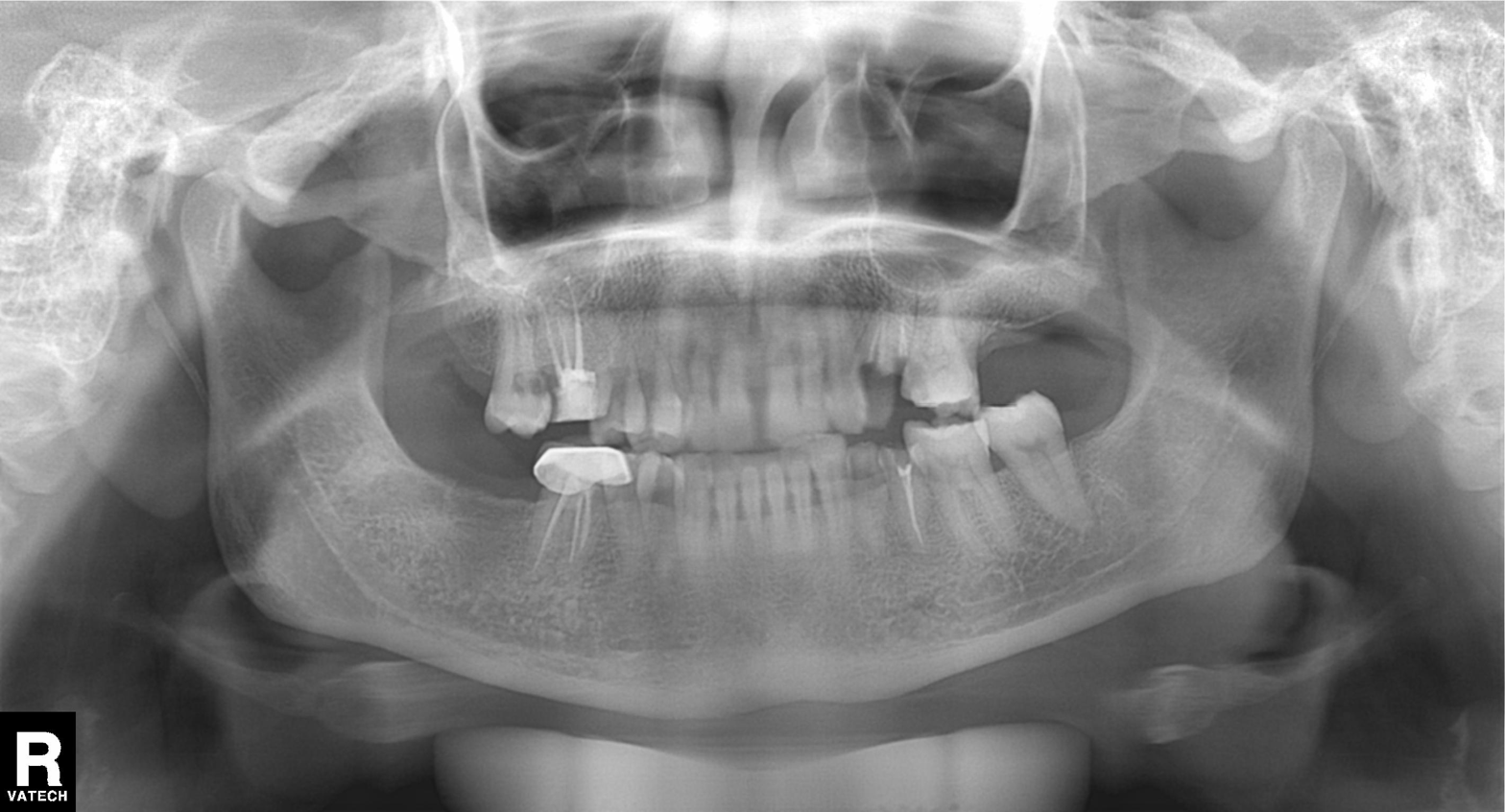
Panoramic dental radiograph (orthopantomogram). Finding: tooth impaction.